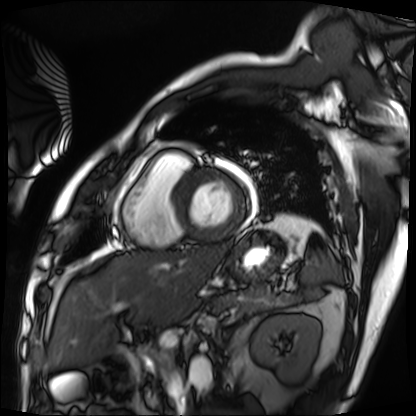
Case summary:
Cardiac MRI. Subject group: patient.